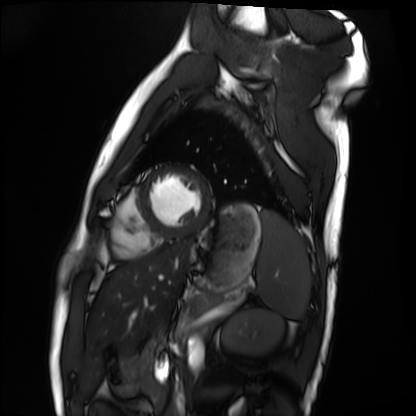
Cardiac MRI. Subject group: healthy volunteer.